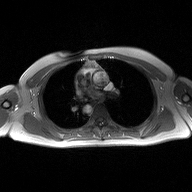
Case summary: 2D phase-contrast cine MRI of the ascending aorta, high-resolution GRAPPA acquisition.